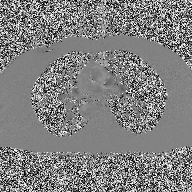
2D phase-contrast cine MRI of the ascending aorta, high-resolution GRAPPA acquisition.